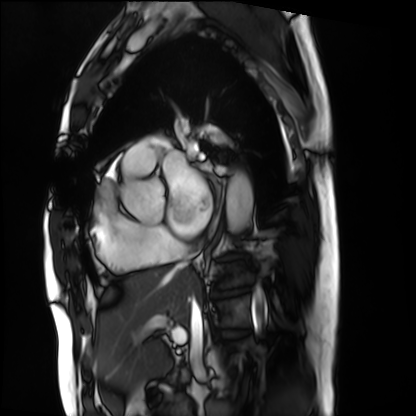
modality = cardiac MRI | subject group = patient.